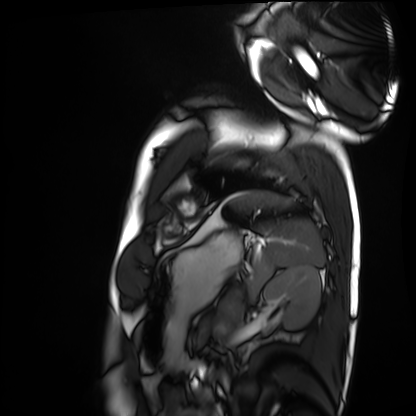
Case summary:
Cardiac MRI. Subject group: healthy volunteer.